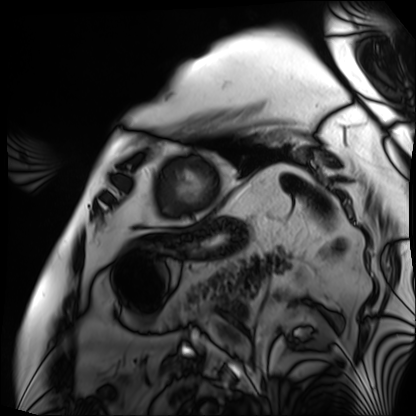
Case summary:
Cardiac MRI. Subject group: patient.